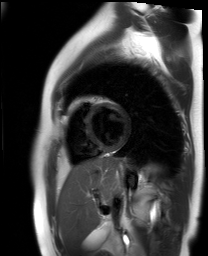
Cardiac MR image of the myocardium.
Subject cohort: healthy volunteer.